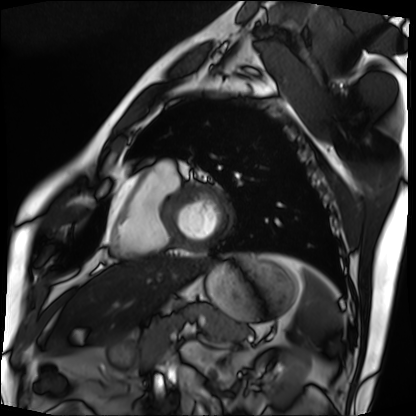
modality: cardiac MRI | subject group: patient.